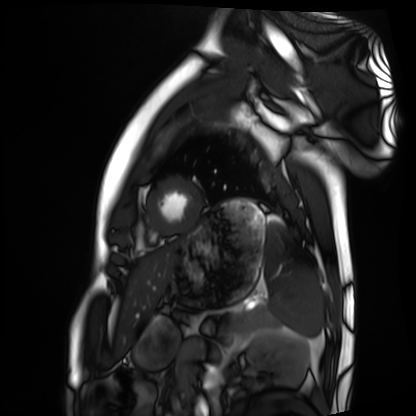
Summary: Cardiac MRI. Subject group: healthy volunteer.